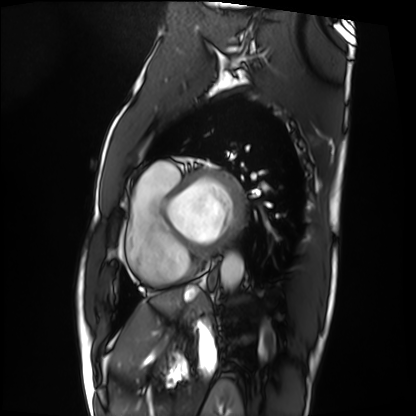
Case summary:
Cardiac MRI. Subject group: patient.